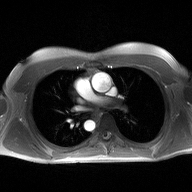
Q: What kind of scan is this?
A: 2D phase-contrast cine MRI of the ascending aorta.